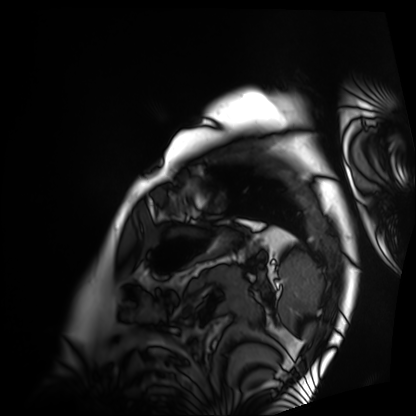
modality: cardiac MRI; subject group: patient.